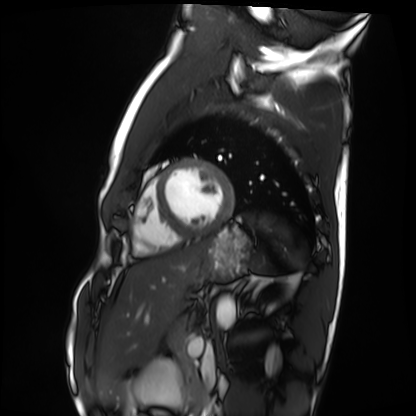
Cardiac MRI. Subject group: healthy volunteer.